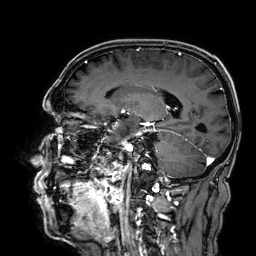
- modality — 3 Tesla brain MRI
- series — 3D T1-weighted
- study — ring-enhancing brain masses